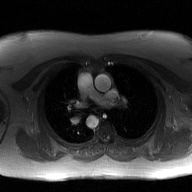
2D phase-contrast cine MRI of the ascending aorta, GAN super-resolution reconstruction.